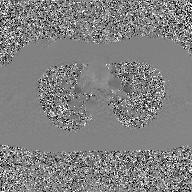
Summary: 2D phase-contrast cine MRI of the ascending aorta, GAN super-resolution reconstruction.